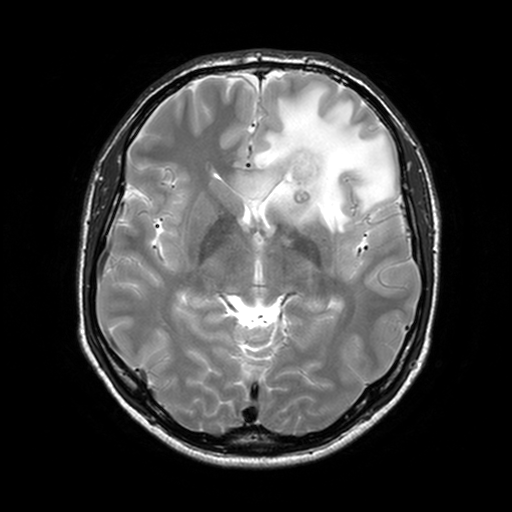
3 Tesla brain MRI.
Series: T2-weighted turbo spin echo, 3 mm.
Study: ring-enhancing brain masses.